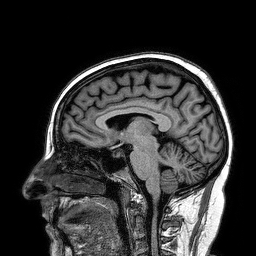
3 Tesla brain MRI. Series: 3D T1-weighted turbo field echo. Study: ring-enhancing brain masses.